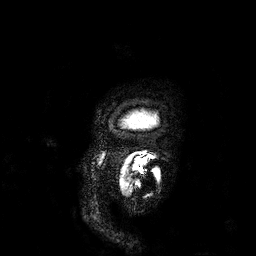
Case summary: 3 Tesla brain MRI. Series: 3D T1-weighted. Study: ring-enhancing brain masses.